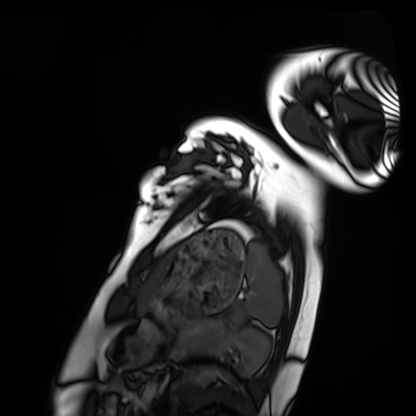
| field | value |
|---|---|
| modality | cardiac MRI |
| subject group | healthy volunteer |